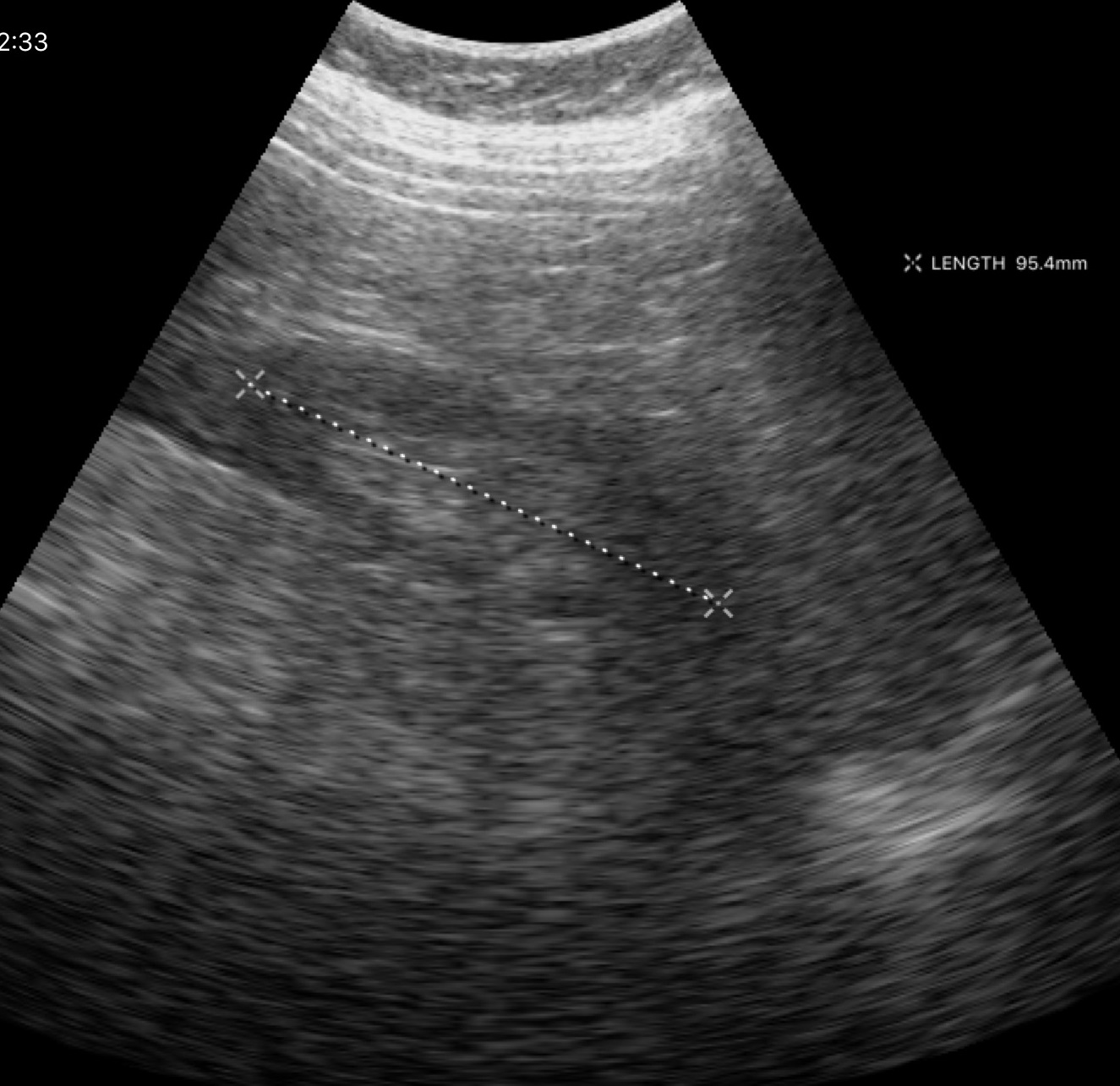
modality = genitourinary ultrasound.